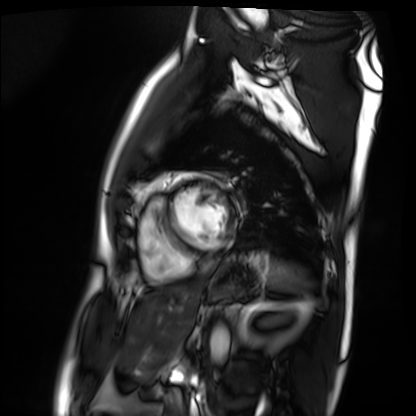
Cardiac MRI.
Subject group: patient.